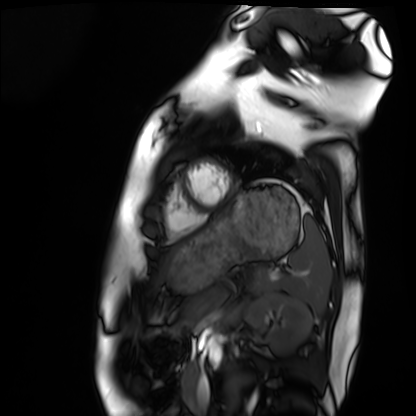
Case:
- modality: cardiac MRI
- subject group: healthy volunteer